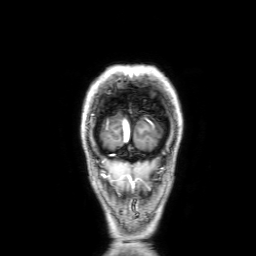
3 Tesla brain MRI.
Series: 3D T1-weighted with SENSE.
Study: ring-enhancing brain masses.